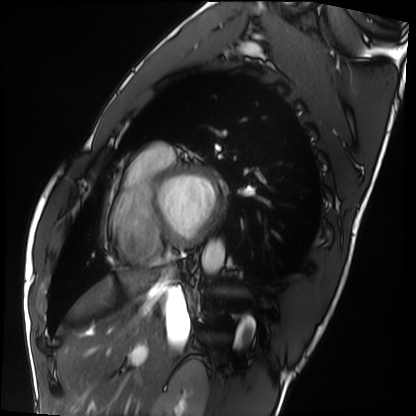
- modality — cardiac MRI
- subject group — healthy volunteer